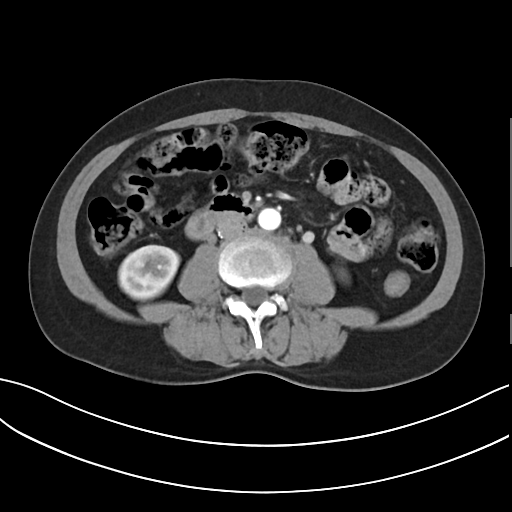
{"modality": {"type": "multiphase abdominal CT", "region": "liver", "phase": "arterial"}, "patient": {"sex": "female", "age": 54}}